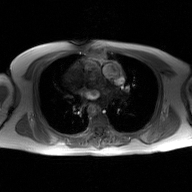
Clinical context:
2D phase-contrast cine MRI of the ascending aorta, GAN super-resolution reconstruction.